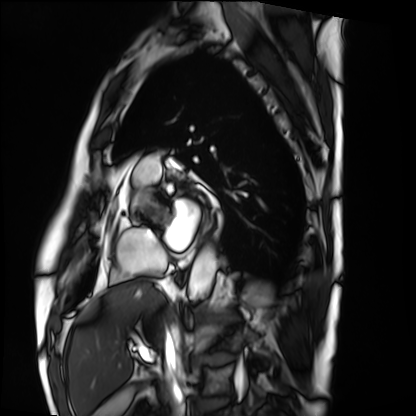
Case:
* modality · cardiac MRI
* subject group · patient